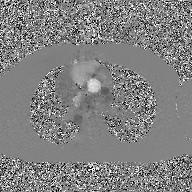
2D phase-contrast cine MRI of the ascending aorta, GAN super-resolution reconstruction.